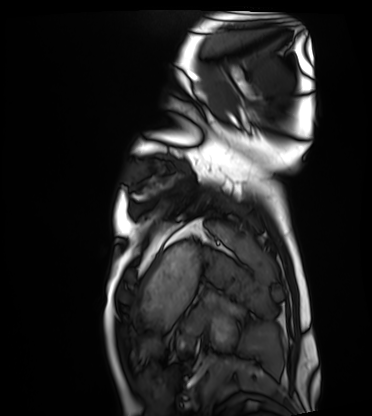
{
  "modality": "cardiac MRI",
  "cohort": "healthy volunteer"
}